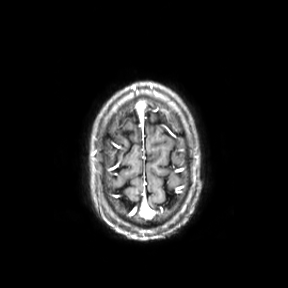
- modality · 3 Tesla brain MRI
- series · axial
- study · ring-enhancing brain masses